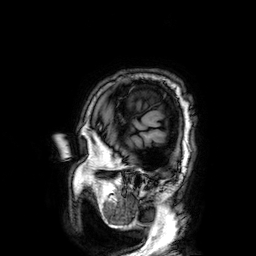
Q: What kind of scan is this?
A: 3 Tesla brain MRI.
Q: Series?
A: 3D T1-weighted.
Study: ring-enhancing brain masses.